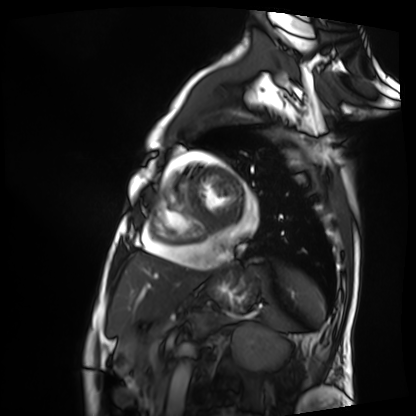
Summary:
Cardiac MRI. Subject group: patient.